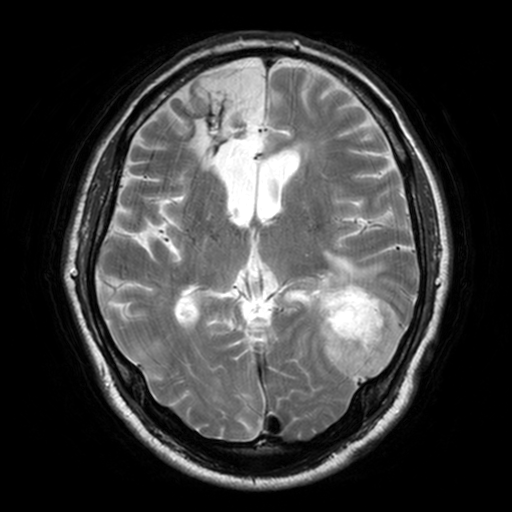
Summary: 3 Tesla brain MRI. Series: T2-weighted turbo spin echo, 3 mm. Study: ring-enhancing brain masses.